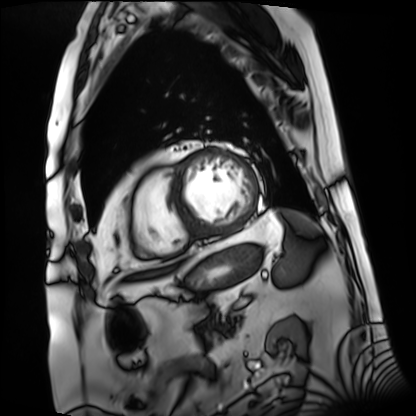
• modality: cardiac MRI
• subject group: patient